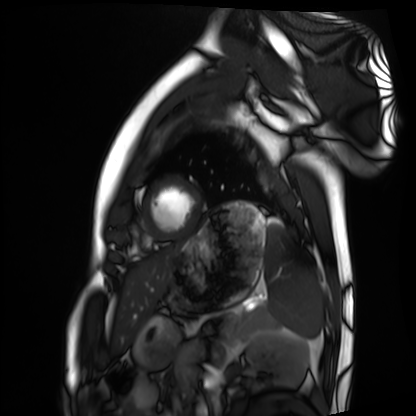
Clinical context:
Cardiac MRI. Subject group: healthy volunteer.